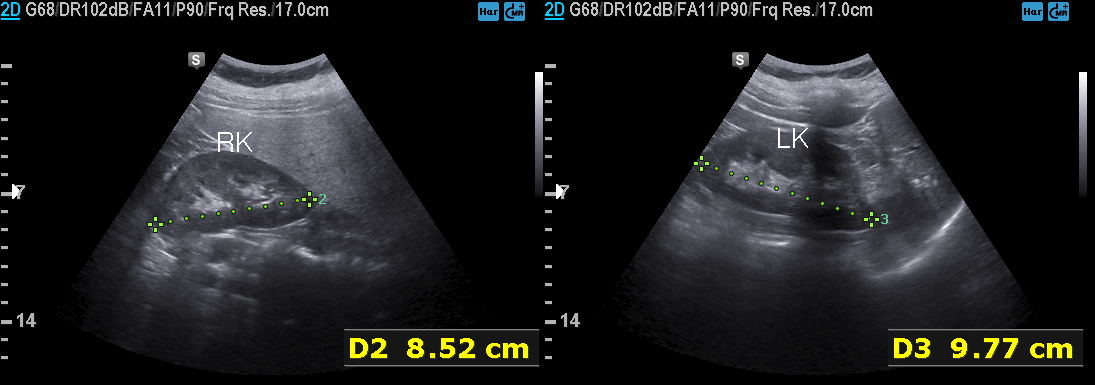
Case:
* modality: genitourinary ultrasound